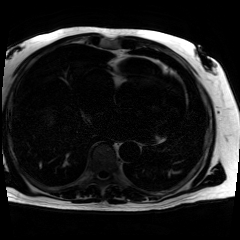
{"modality": "chemical-shift-encoded cardiac MRI"}